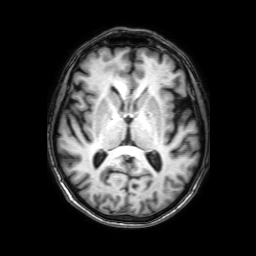
Case summary: 3 Tesla brain MRI. Series: 3D T1-weighted with SENSE. Study: ring-enhancing brain masses.